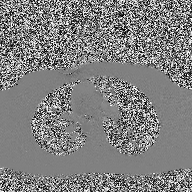
2D phase-contrast cine MRI of the ascending aorta, high-resolution GRAPPA acquisition.